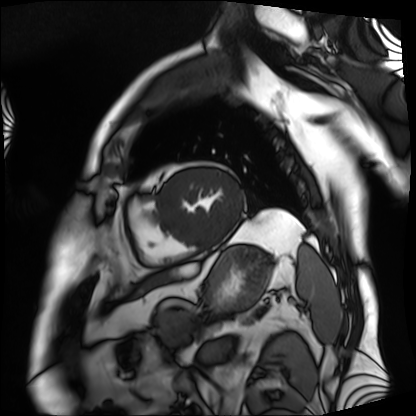
– modality — cardiac MRI
– subject group — patient